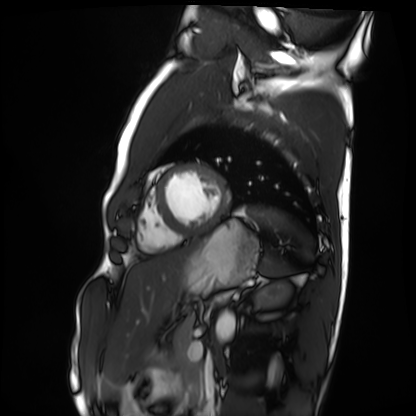
Cardiac MRI. Subject group: healthy volunteer.